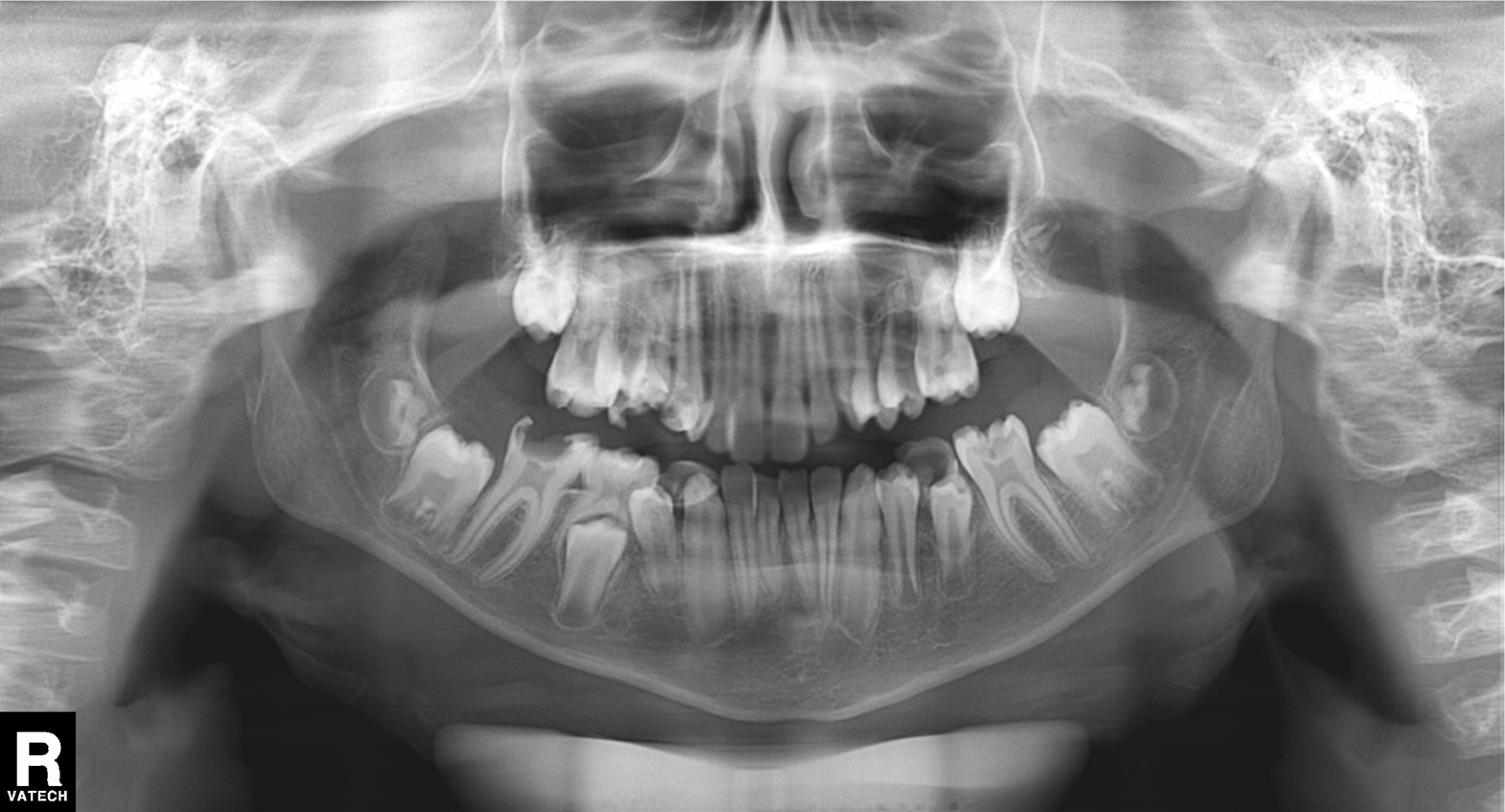
<study>
  <modality>panoramic dental radiograph (orthopantomogram)</modality>
  <finding>tooth impaction</finding>
</study>